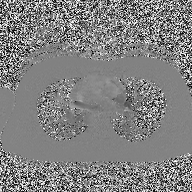
2D phase-contrast cine MRI of the ascending aorta, high-resolution GRAPPA acquisition.